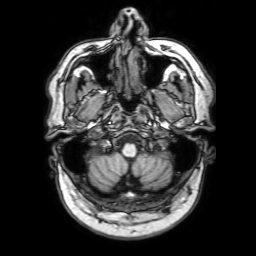
Q: What kind of scan is this?
A: 3 Tesla brain MRI.
Q: Series?
A: 3D T1-weighted with SENSE.
Study: ring-enhancing brain masses.